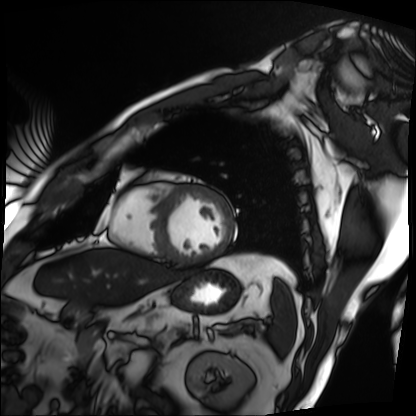
Q: What kind of scan is this?
A: Cardiac MRI.
Subject group: patient.